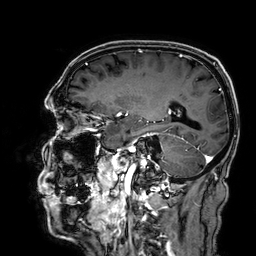
modality: 3 Tesla brain MRI | series: 3D T1-weighted | study: ring-enhancing brain masses.